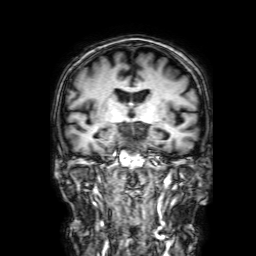
Q: What kind of scan is this?
A: 3 Tesla brain MRI.
Q: Series?
A: 3D T1-weighted with SENSE.
Study: ring-enhancing brain masses.